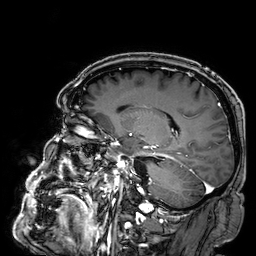
3 Tesla brain MRI. Series: 3D T1-weighted. Study: ring-enhancing brain masses.